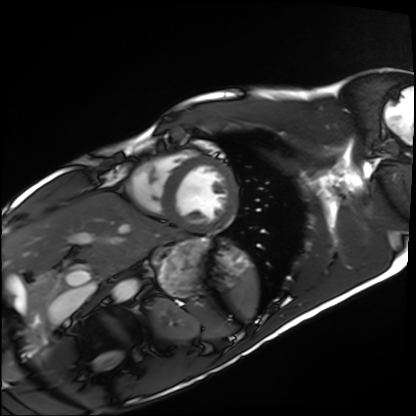
Clinical context: Cardiac MRI. Subject group: healthy volunteer.